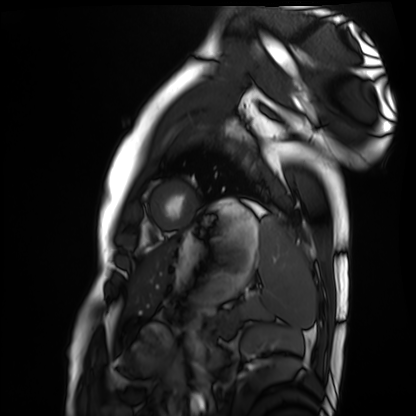
{"modality": "cardiac MRI", "cohort": "healthy volunteer"}